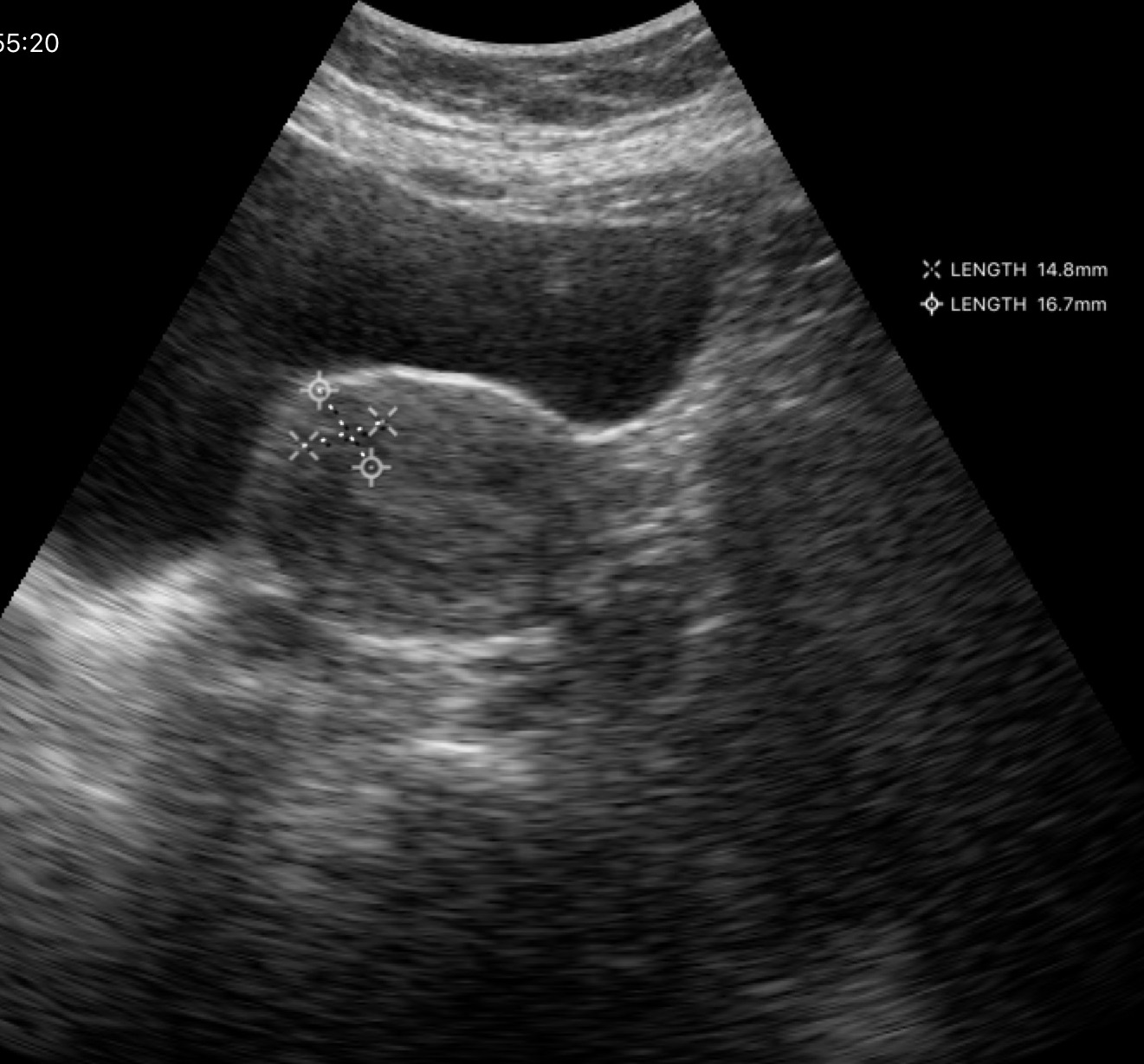
modality: genitourinary ultrasound.